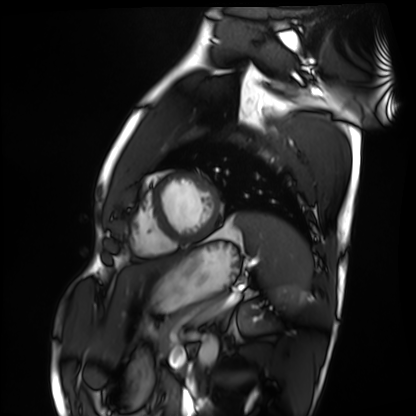
modality: cardiac MRI | subject group: healthy volunteer.